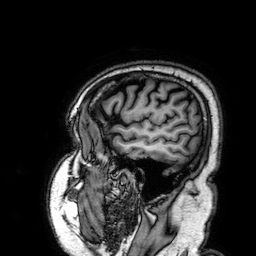
modality — 3 Tesla brain MRI; series — 3D T1-weighted; study — ring-enhancing brain masses.